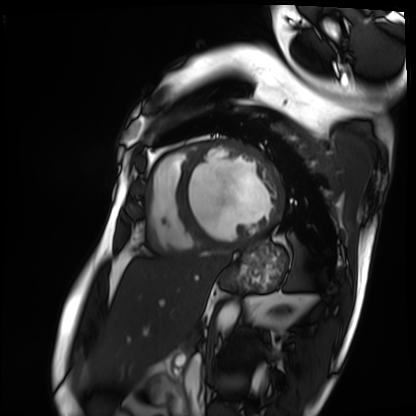
Cardiac MRI. Subject group: patient.